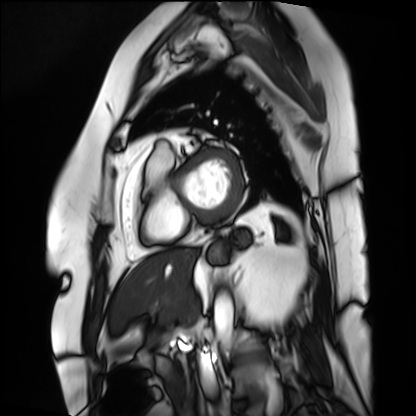
{"modality": "cardiac MRI", "cohort": "patient"}